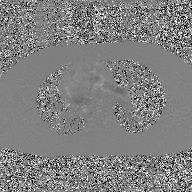
{
  "modality": {
    "type": "2D phase-contrast cine MRI",
    "region": "ascending aorta",
    "reconstruction": "GAN super-resolution reconstruction"
  }
}